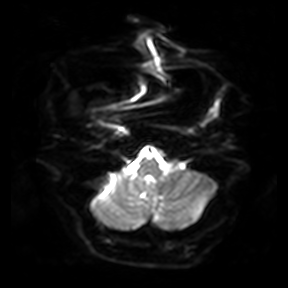
Summary:
3 Tesla brain MRI. Series: diffusion-weighted imaging. Study: ring-enhancing brain masses.